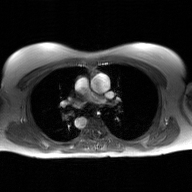
Case summary: 2D phase-contrast cine MRI of the ascending aorta, GAN super-resolution reconstruction.